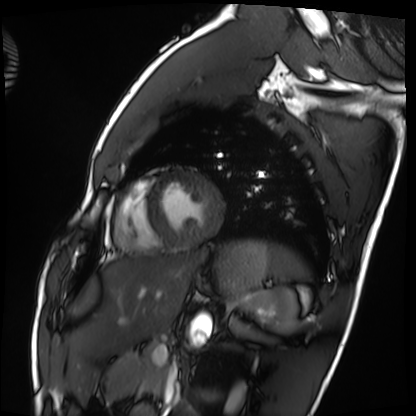
Case summary:
Cardiac MRI. Subject group: healthy volunteer.